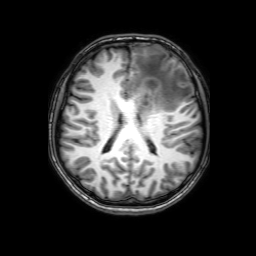
modality — 3 Tesla brain MRI
series — 3D T1-weighted with SENSE
study — ring-enhancing brain masses